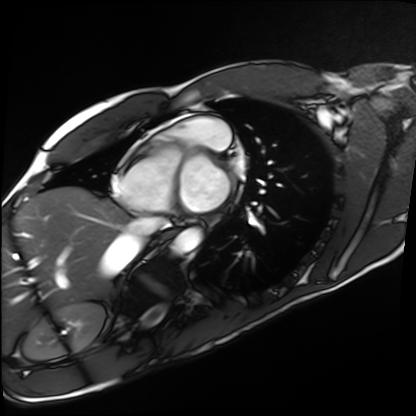
  modality: cardiac MRI
  cohort: healthy volunteer